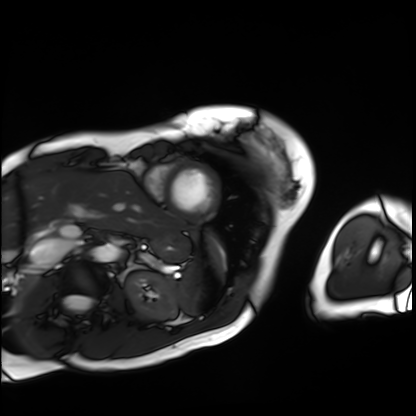
Summary: Cardiac MRI. Subject group: patient.